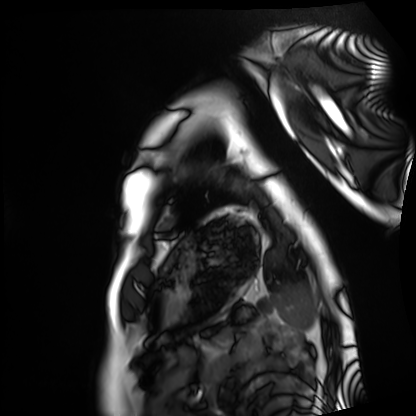
Clinical context: Cardiac MRI. Subject group: healthy volunteer.